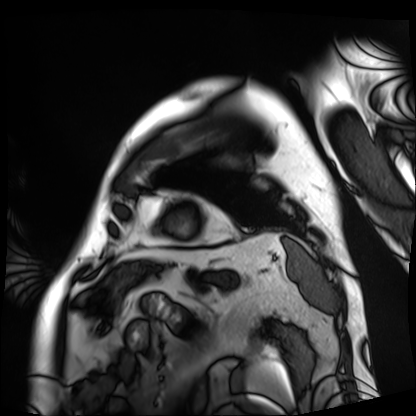
Clinical context:
Cardiac MRI. Subject group: patient.